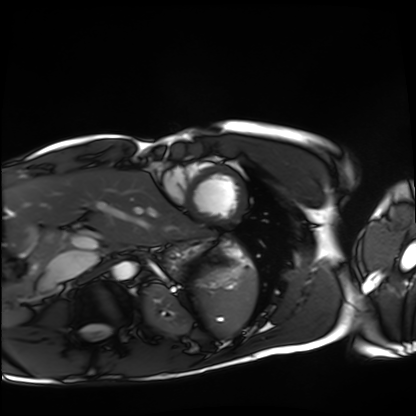
Case:
• modality: cardiac MRI
• subject group: healthy volunteer